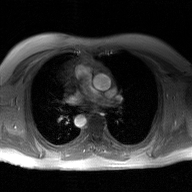
2D phase-contrast cine MRI of the ascending aorta, GAN super-resolution reconstruction.